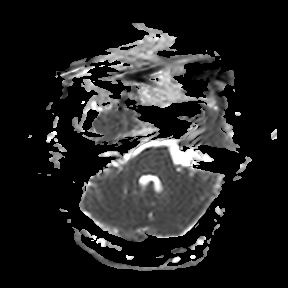
<case>
  <modality>
    <type>brain MRI</type>
    <field_strength>3T</field_strength>
  </modality>
  <series>apparent diffusion coefficient (ADC) map</series>
  <study_topic>ring-enhancing brain masses</study_topic>
</case>